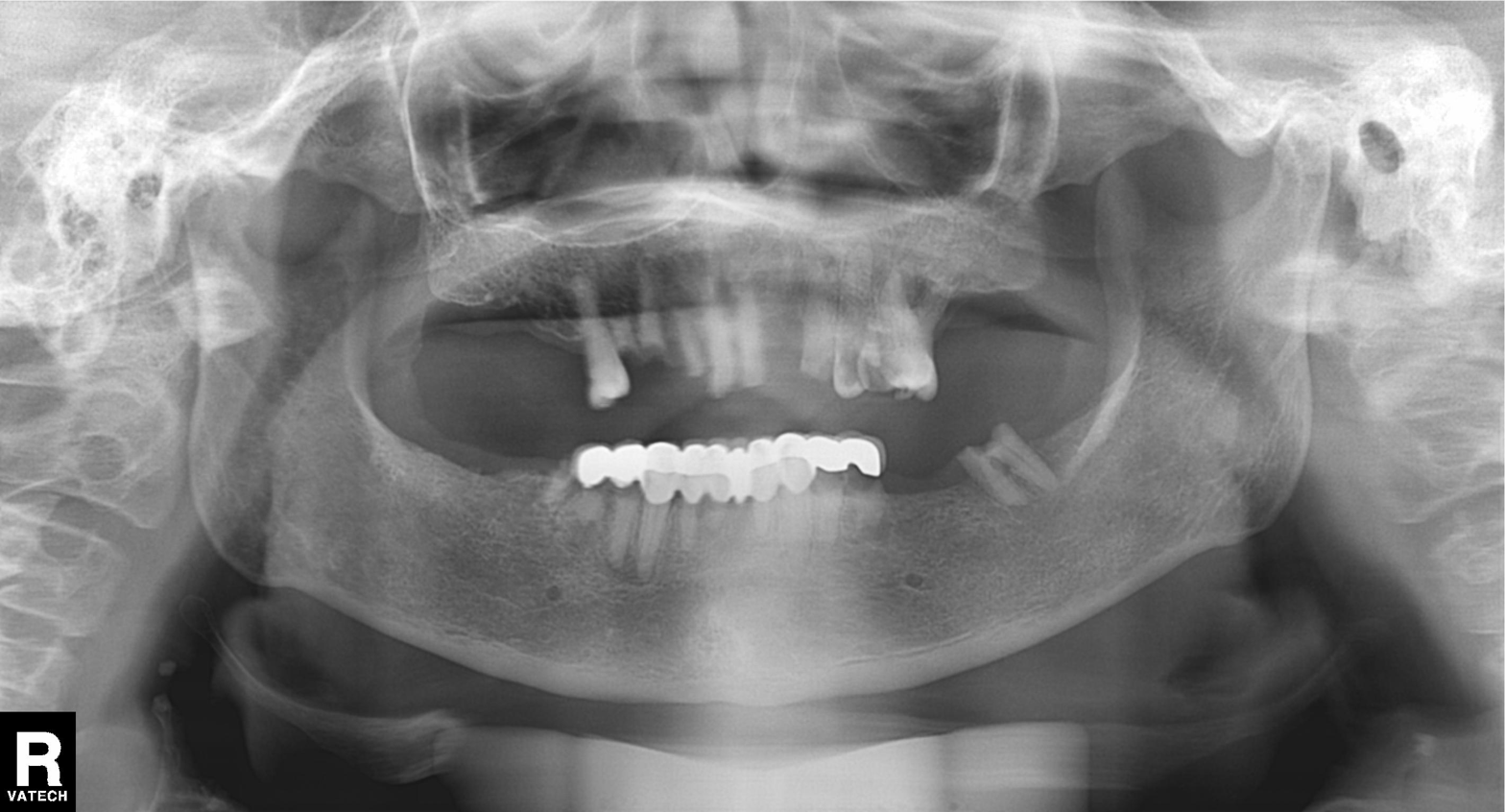
modality: panoramic dental radiograph (orthopantomogram), finding: alveolar bone loss.